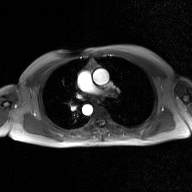
2D phase-contrast cine MRI of the ascending aorta, GAN super-resolution reconstruction.